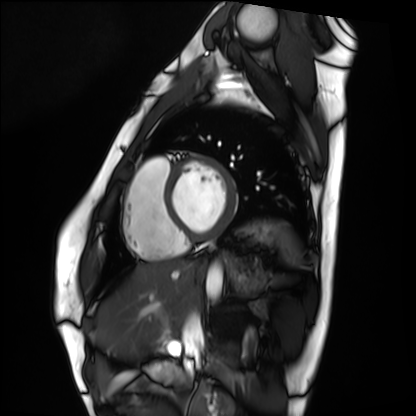
Q: What kind of scan is this?
A: Cardiac MRI.
Subject group: healthy volunteer.